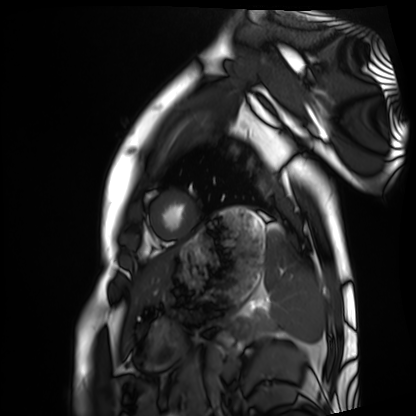
Summary:
Cardiac MRI. Subject group: healthy volunteer.